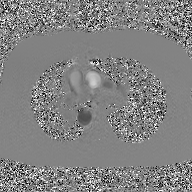
Q: What kind of scan is this?
A: 2D phase-contrast cine MRI of the ascending aorta, GAN super-resolution reconstruction.